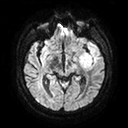
3 Tesla brain MRI. Study: ring-enhancing brain masses.